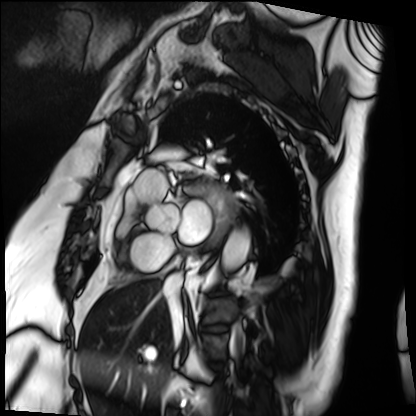
modality — cardiac MRI
subject group — patient